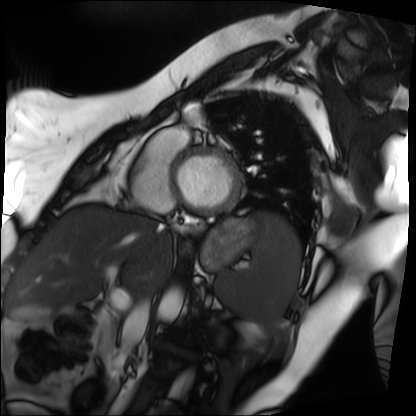
Cardiac MRI. Subject group: patient.